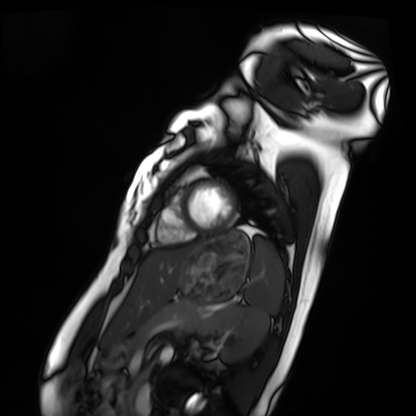
modality — cardiac MRI | subject group — healthy volunteer.